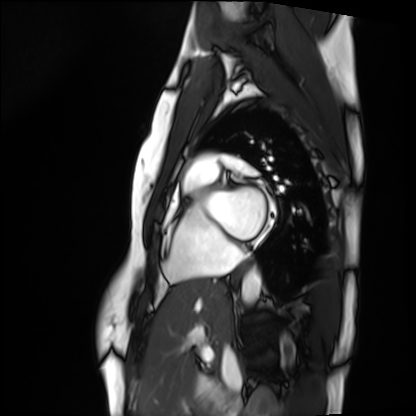
Case summary:
Cardiac MRI. Subject group: healthy volunteer.